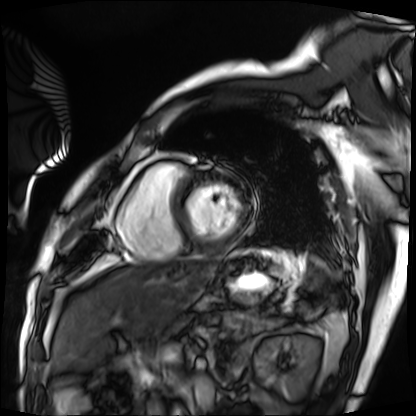
Q: What kind of scan is this?
A: Cardiac MRI.
Subject group: patient.